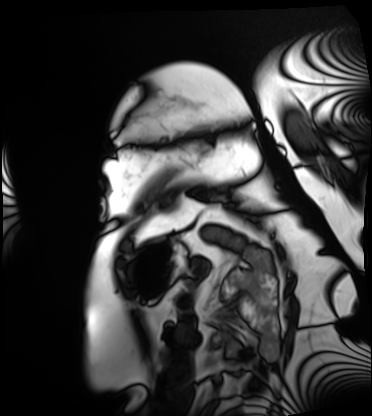
Cardiac MRI.
Subject group: patient.